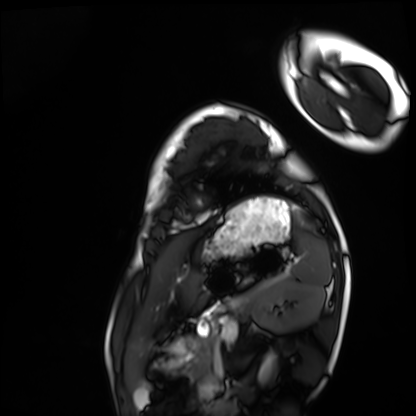
Q: What kind of scan is this?
A: Cardiac MRI.
Subject group: healthy volunteer.